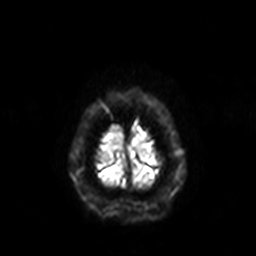
Q: What kind of scan is this?
A: 3 Tesla brain MRI.
Q: Series?
A: Diffusion-weighted imaging with SENSE (WIP).
Study: ring-enhancing brain masses.